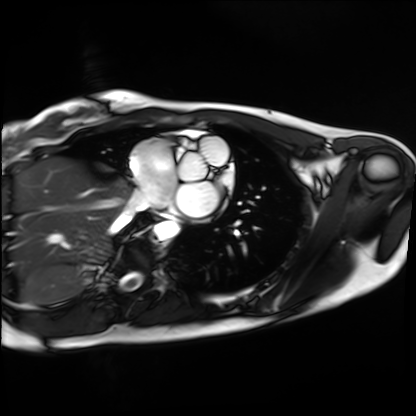
Clinical context: Cardiac MRI. Subject group: healthy volunteer.